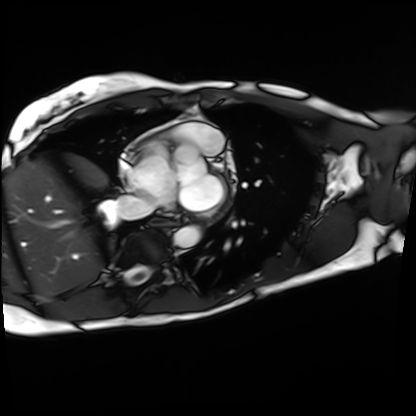
modality = cardiac MRI, subject group = patient.